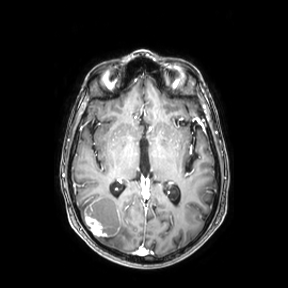
Q: What kind of scan is this?
A: 3 Tesla brain MRI.
Study: ring-enhancing brain masses.